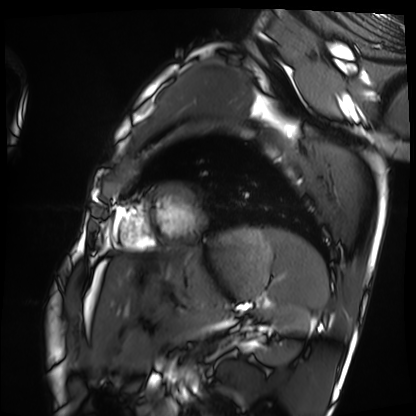
* modality: cardiac MRI
* subject group: healthy volunteer